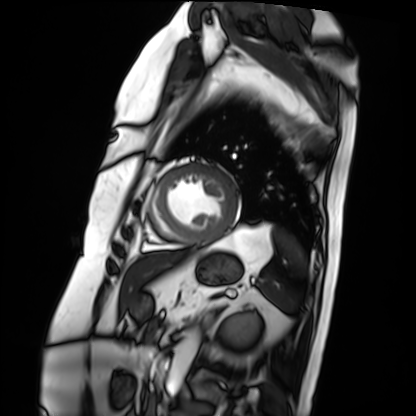
Cardiac MRI. Subject group: patient.